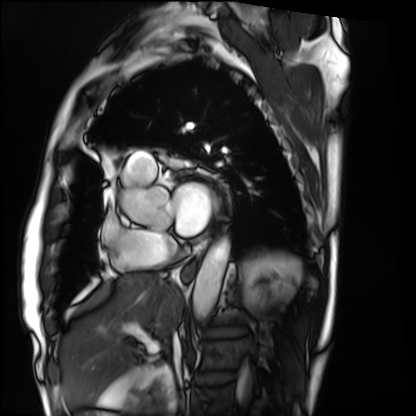
Cardiac MRI. Subject group: patient.